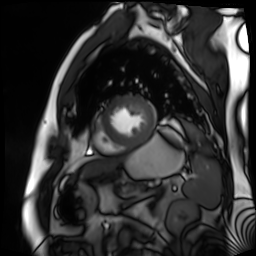
Cardiac MR image of the myocardium. Subject cohort: cardiac patient.